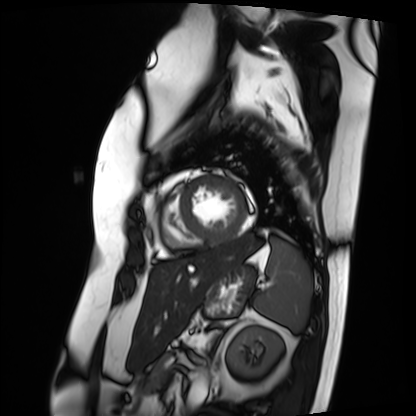
Cardiac MRI. Subject group: patient.